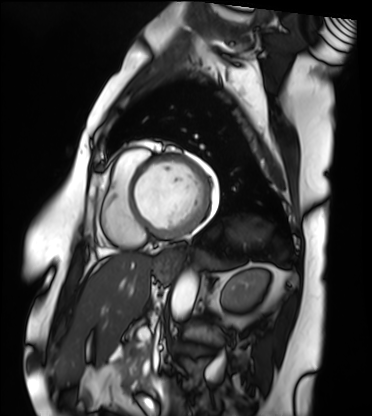
modality=cardiac MRI; subject group=patient.